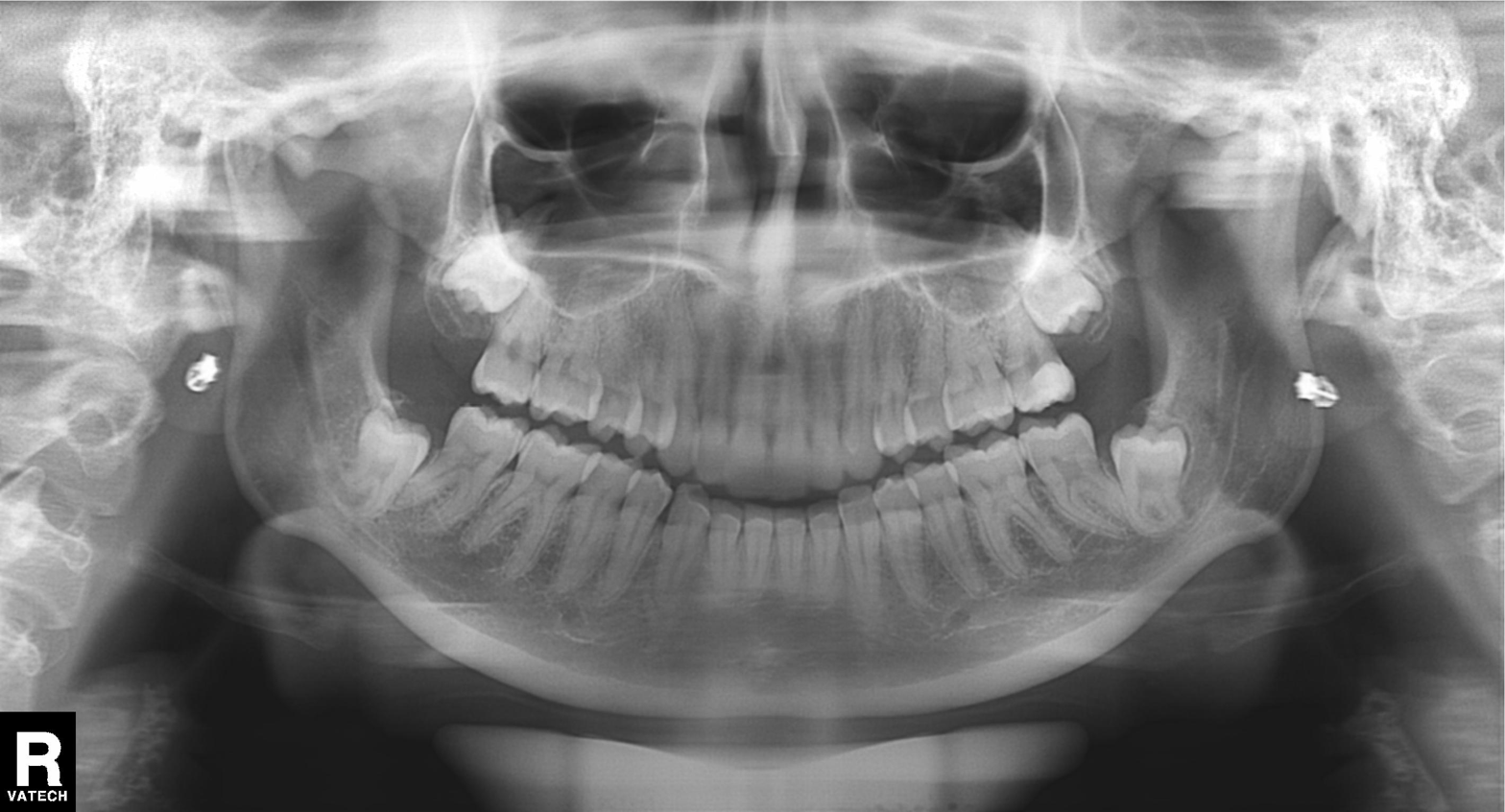
| field | value |
|---|---|
| modality | panoramic dental radiograph (orthopantomogram) |
| finding | tooth impaction |